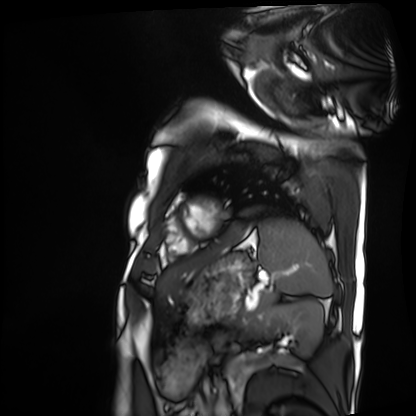
Cardiac MRI. Subject group: patient.